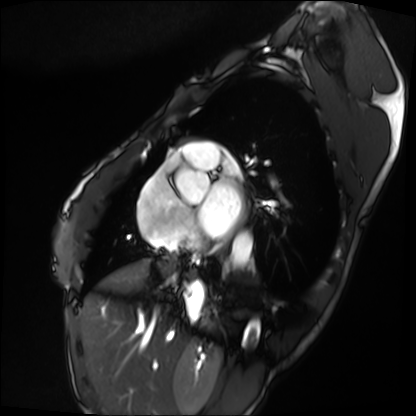
<record>
  <modality>cardiac MRI</modality>
  <cohort>patient</cohort>
</record>